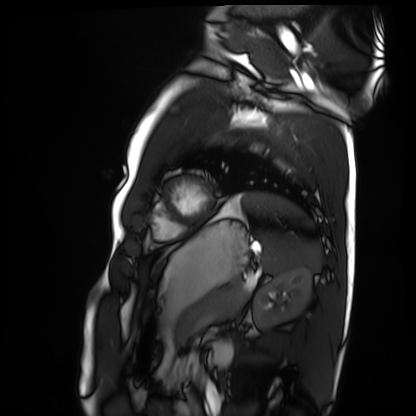
{
  "modality": "cardiac MRI",
  "cohort": "healthy volunteer"
}